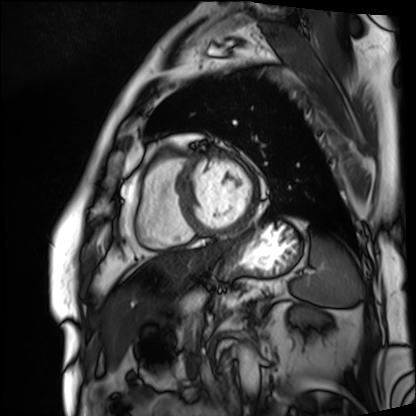
{
  "modality": "cardiac MRI",
  "cohort": "patient"
}